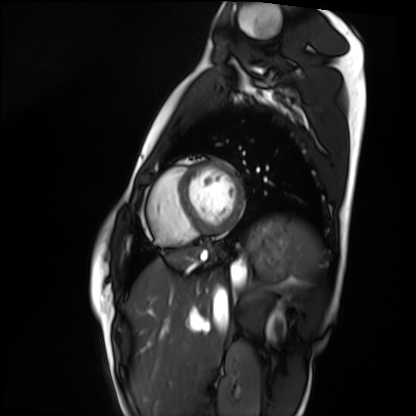
Clinical context: Cardiac MRI. Subject group: healthy volunteer.